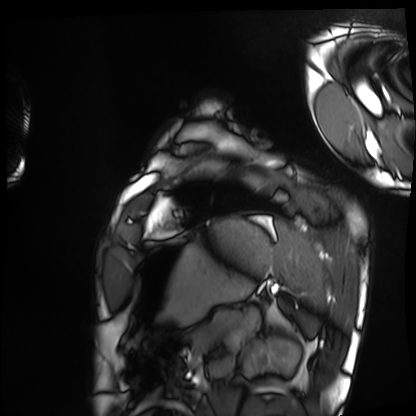
Q: What kind of scan is this?
A: Cardiac MRI.
Subject group: healthy volunteer.